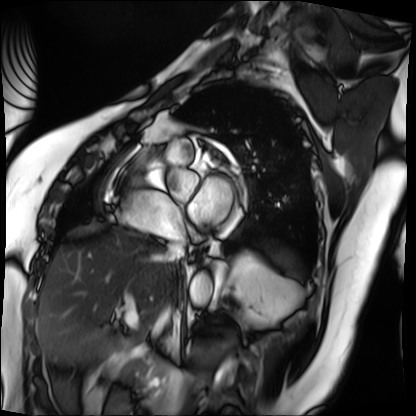
| field | value |
|---|---|
| modality | cardiac MRI |
| subject group | patient |